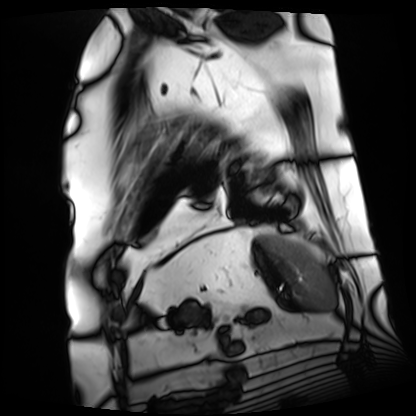
Cardiac MRI.
Subject group: patient.